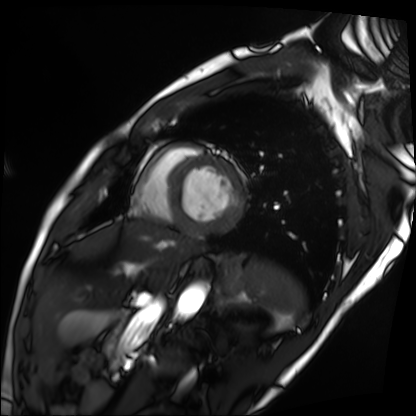
Case:
• modality: cardiac MRI
• subject group: patient